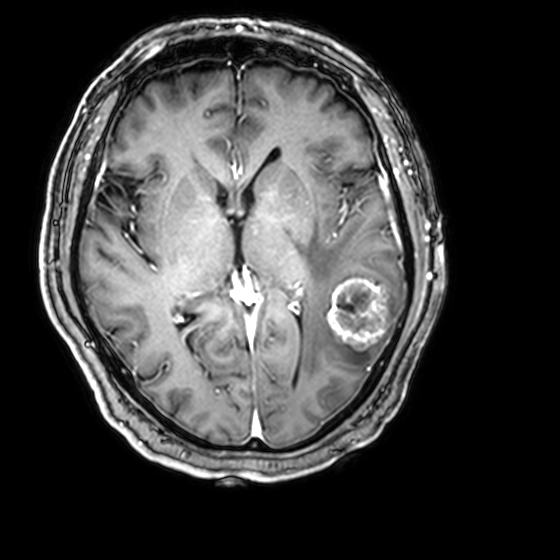
modality — 3 Tesla brain MRI
series — 3D T1-weighted with CLEAR
study — ring-enhancing brain masses